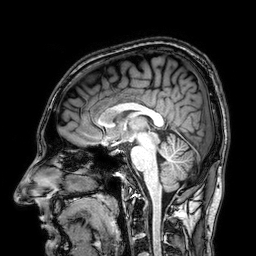
3 Tesla brain MRI.
Series: 3D T1-weighted.
Study: ring-enhancing brain masses.